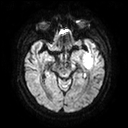
3 Tesla brain MRI.
Series: diffusion tensor imaging (medium iso).
Study: ring-enhancing brain masses.